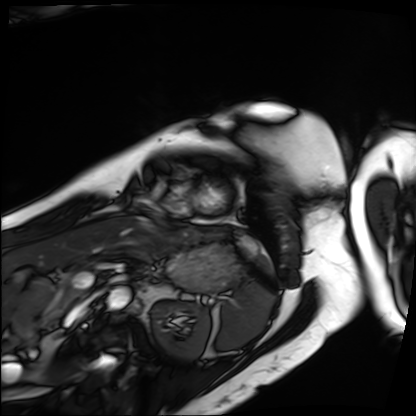
Q: What kind of scan is this?
A: Cardiac MRI.
Subject group: patient.